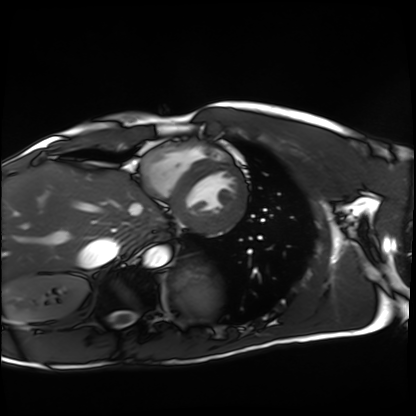
modality: cardiac MRI | subject group: healthy volunteer.